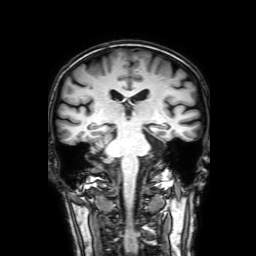
3 Tesla brain MRI. Series: 3D T1-weighted with SENSE. Study: ring-enhancing brain masses.